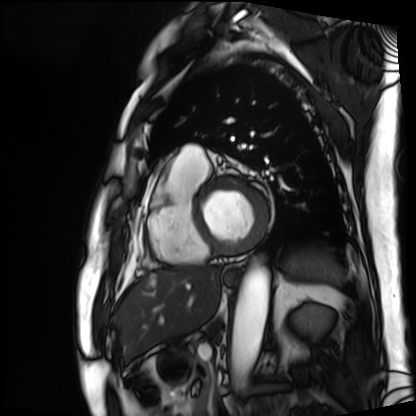
Case summary:
Cardiac MRI. Subject group: patient.